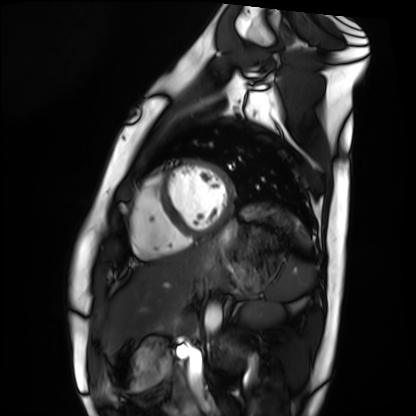
  modality: cardiac MRI
  cohort: healthy volunteer